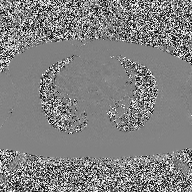
modality = 2D phase-contrast cine MRI of the ascending aorta